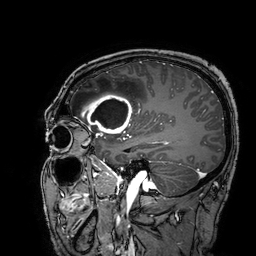
Summary: 3 Tesla brain MRI. Series: 3D T1-weighted turbo field echo with SENSE. Study: ring-enhancing brain masses.